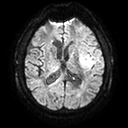
Q: What kind of scan is this?
A: 3 Tesla brain MRI.
Study: ring-enhancing brain masses.